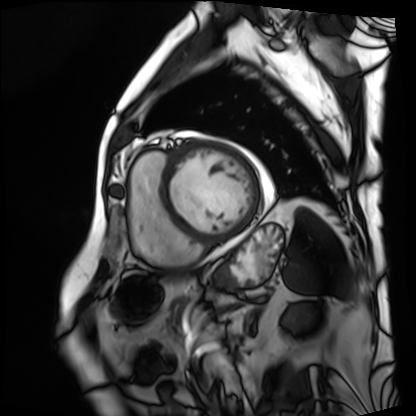
modality: cardiac MRI
cohort: patient